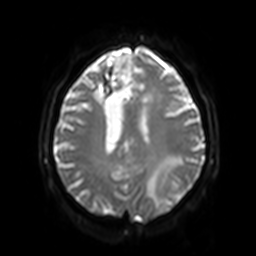
modality = 3 Tesla brain MRI | series = diffusion-weighted imaging with SENSE (WIP) | study = ring-enhancing brain masses.